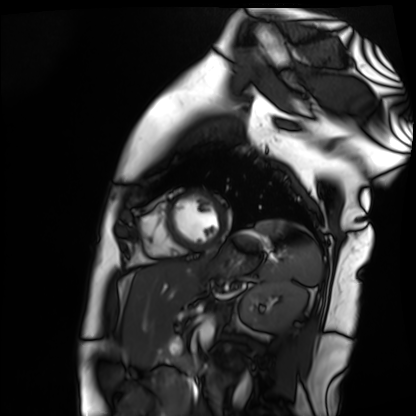
– modality · cardiac MR image of the myocardium
– subject cohort · healthy volunteer